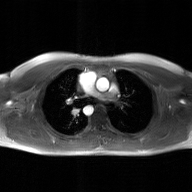
Summary: 2D phase-contrast cine MRI of the ascending aorta, GAN super-resolution reconstruction.